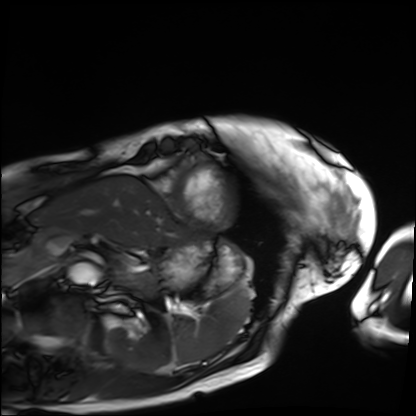
modality = cardiac MRI; subject group = patient.